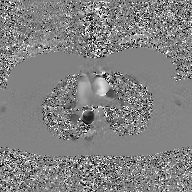
Case:
- modality: 2D phase-contrast cine MRI of the ascending aorta, GAN super-resolution reconstruction